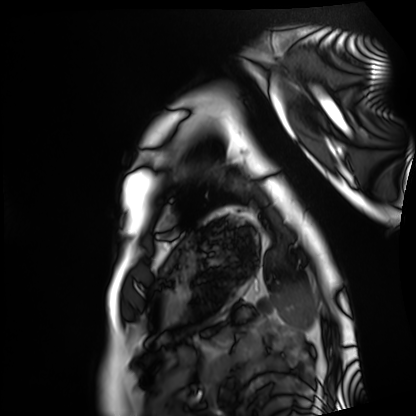
Summary: Cardiac MRI. Subject group: healthy volunteer.